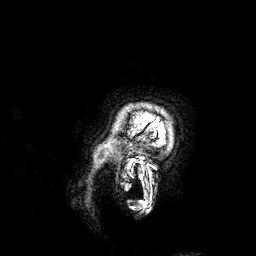
{
  "modality": {
    "type": "brain MRI",
    "field_strength": "3T"
  },
  "series": "3D T1-weighted",
  "study_topic": "ring-enhancing brain masses"
}